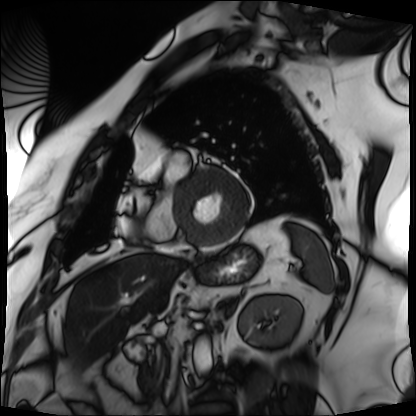
Clinical context:
Cardiac MRI. Subject group: patient.